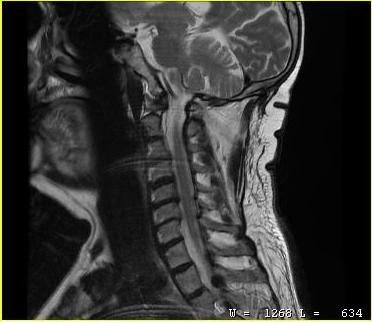
<case>
  <modality>
    <type>cervical spine MRI</type>
  </modality>
  <study_topic>cervical spondylosis</study_topic>
</case>